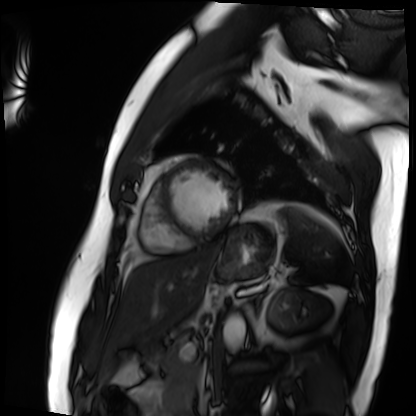
Cardiac MRI. Subject group: patient.